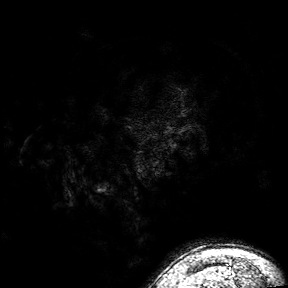
3 Tesla brain MRI.
Series: 3D T1-weighted turbo field echo with SENSE.
Study: ring-enhancing brain masses.